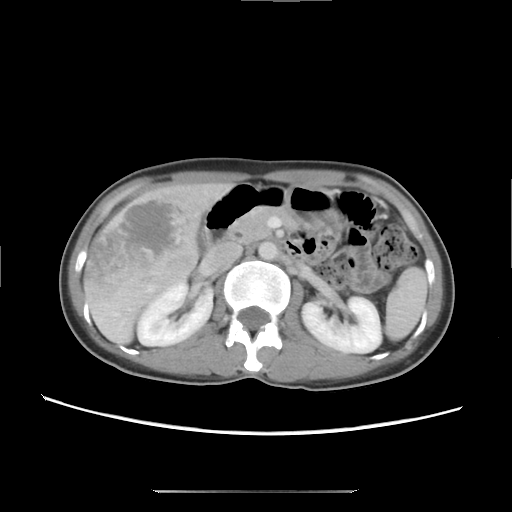
Summary: Multiphase abdominal CT, liver, delayed phase. Patient: female, age 41.